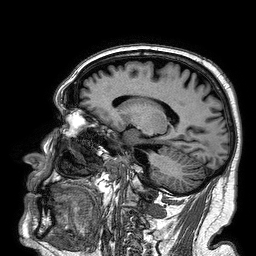
| field | value |
|---|---|
| modality | 3 Tesla brain MRI |
| series | 3D T1-weighted turbo field echo |
| study | ring-enhancing brain masses |